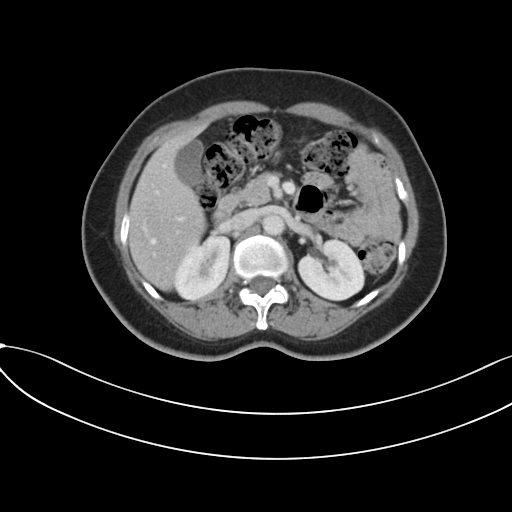
Multiphase abdominal CT, liver, portal venous phase.
Patient: female, age 52.
History: prior chemotherapy.